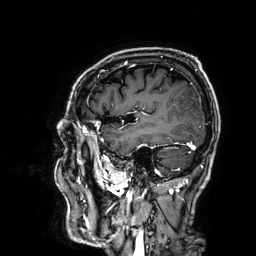
modality: 3 Tesla brain MRI | series: 3D T1-weighted | study: ring-enhancing brain masses.